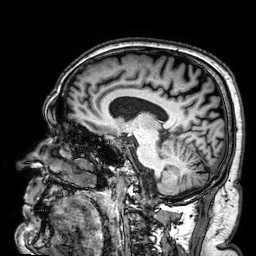
3 Tesla brain MRI. Series: 3D T1-weighted. Study: ring-enhancing brain masses.